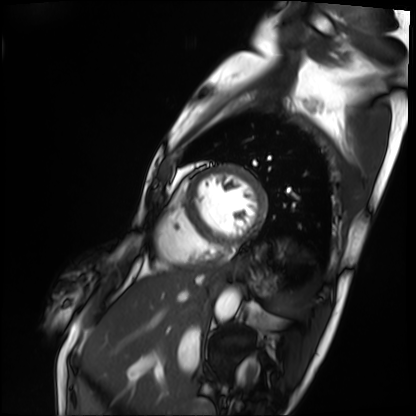
modality = cardiac MRI
subject group = patient